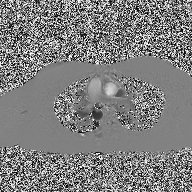
  modality:
    type: 2D phase-contrast cine MRI
    region: ascending aorta
    reconstruction: high-resolution GRAPPA acquisition